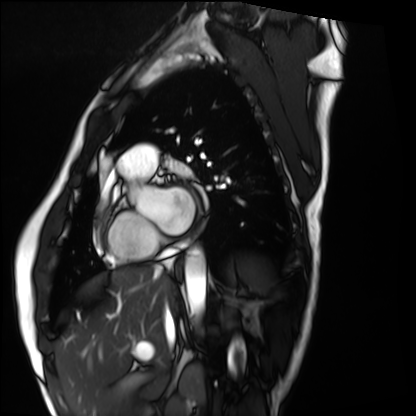
Cardiac MRI. Subject group: healthy volunteer.